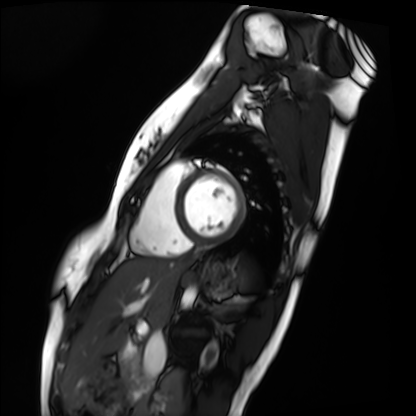
Cardiac MRI. Subject group: healthy volunteer.